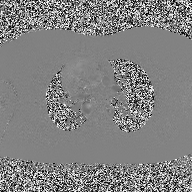
modality:
  type: 2D phase-contrast cine MRI
  region: ascending aorta
  reconstruction: high-resolution GRAPPA acquisition